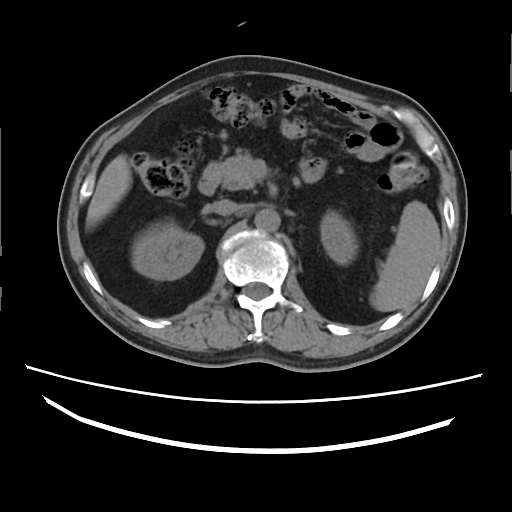
<scan>
  <modality>
    <type>multiphase abdominal CT</type>
    <region>liver</region>
    <phase>non-contrast</phase>
  </modality>
  <patient>
    <sex>male</sex>
    <age>61</age>
  </patient>
  <history>cirrhosis, viral hepatitis, prior chemotherapy</history>
</scan>